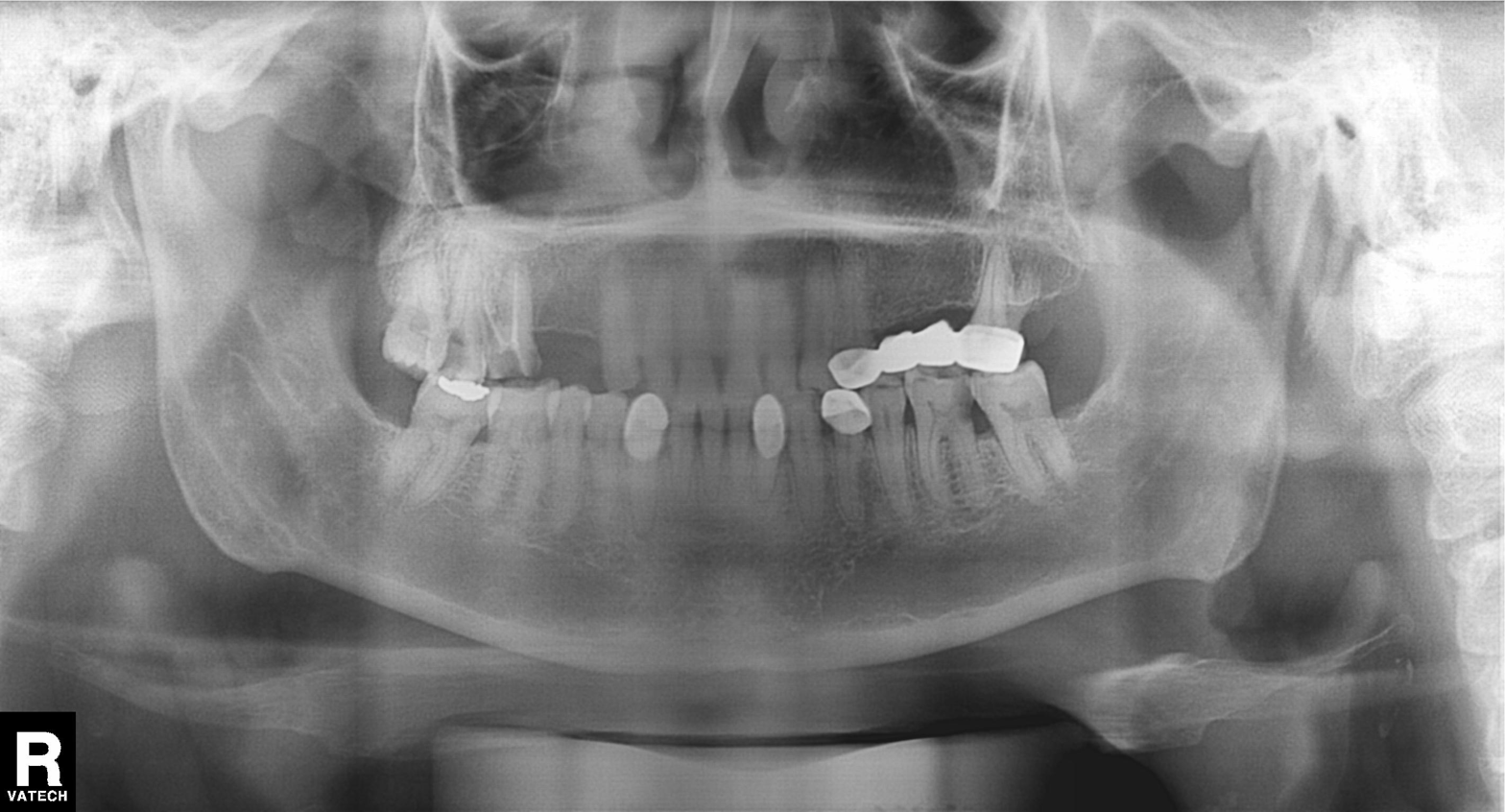
Panoramic dental radiograph (orthopantomogram).
Finding: alveolar bone loss.